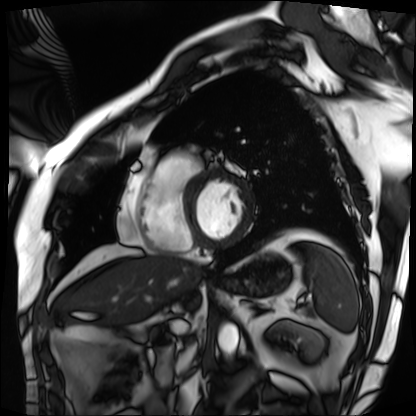
| field | value |
|---|---|
| modality | cardiac MRI |
| subject group | patient |